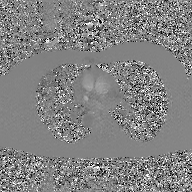
Summary:
2D phase-contrast cine MRI of the ascending aorta, GAN super-resolution reconstruction.